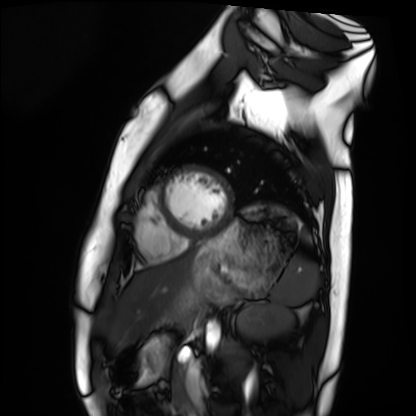
Cardiac MRI.
Subject group: healthy volunteer.